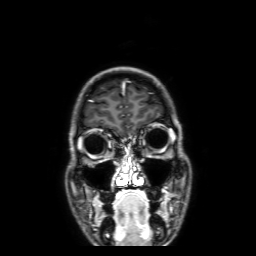
3 Tesla brain MRI.
Series: 3D T1-weighted with SENSE.
Study: ring-enhancing brain masses.